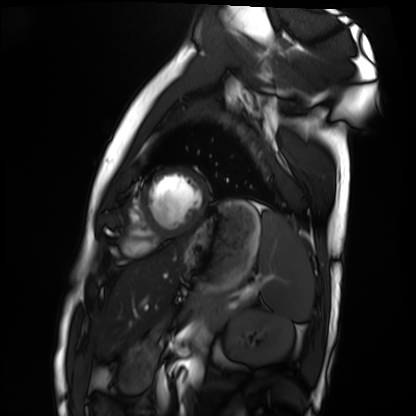
Cardiac MRI. Subject group: healthy volunteer.